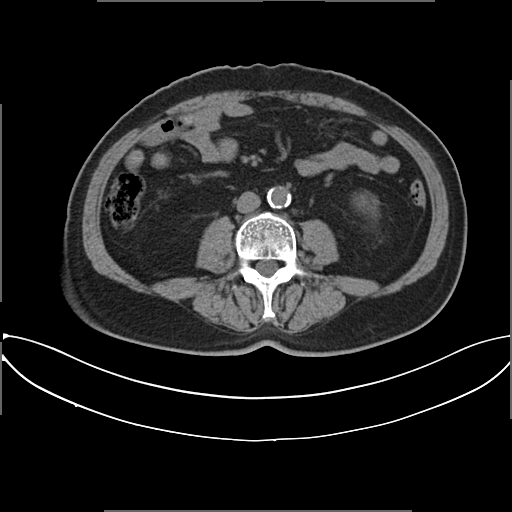
modality: multiphase abdominal CT, liver, non-contrast phase | patient: male, age 66 | history: viral hepatitis.